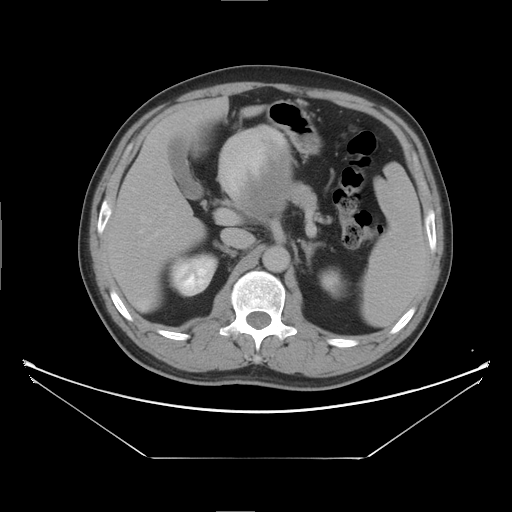
Q: What kind of scan is this?
A: Multiphase abdominal CT, liver, delayed phase.
Q: Patient?
A: Male, age 47.